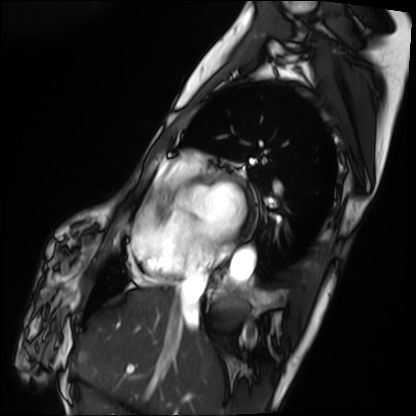
Q: What kind of scan is this?
A: Cardiac MRI.
Subject group: patient.